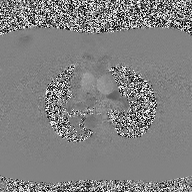
modality: 2D phase-contrast cine MRI of the ascending aorta